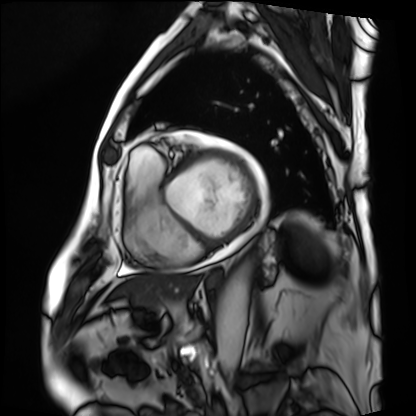
Summary:
Cardiac MRI. Subject group: patient.